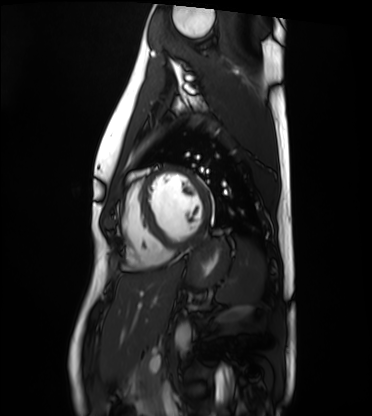
Q: What kind of scan is this?
A: Cardiac MRI.
Subject group: healthy volunteer.